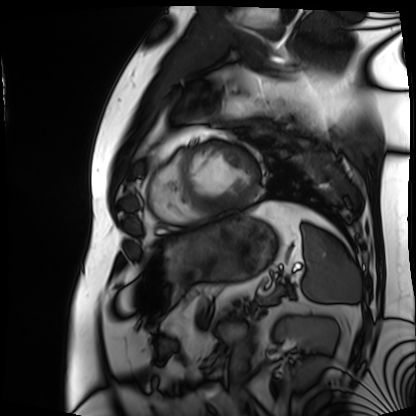
- modality · cardiac MRI
- subject group · patient